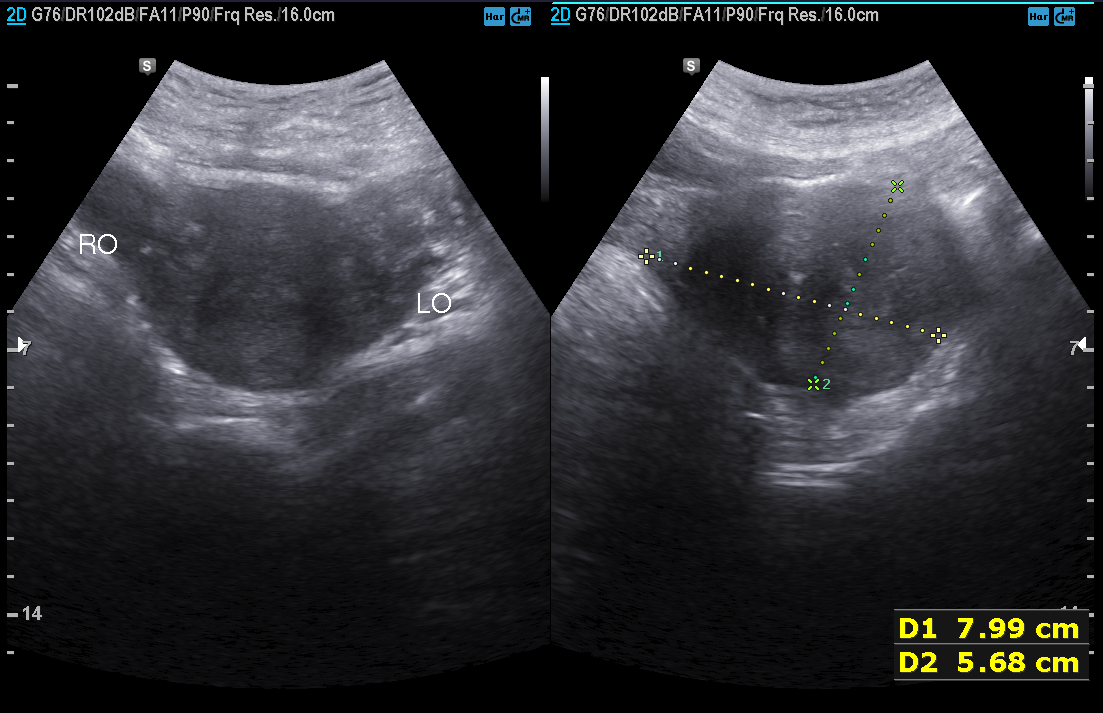
{
  "modality": {
    "type": "genitourinary ultrasound"
  }
}